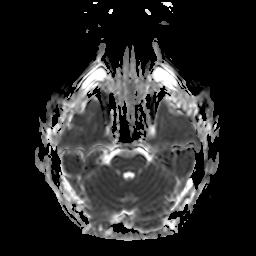
3 Tesla brain MRI.
Series: apparent diffusion coefficient (ADC) map.
Study: ring-enhancing brain masses.